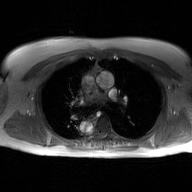
2D phase-contrast cine MRI of the ascending aorta, GAN super-resolution reconstruction.